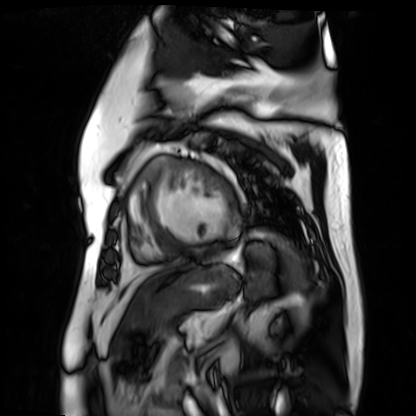
modality = cardiac MR image of the myocardium, subject cohort = cardiac patient.